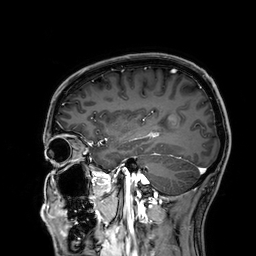
3 Tesla brain MRI. Series: 3D T1-weighted. Study: ring-enhancing brain masses.